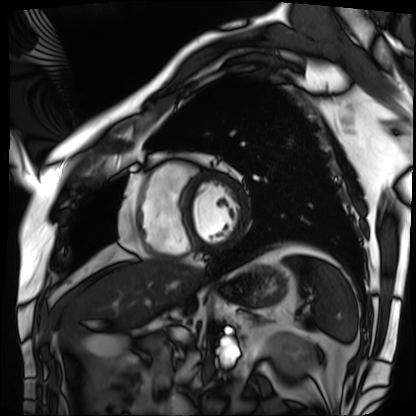
* modality · cardiac MRI
* subject group · patient